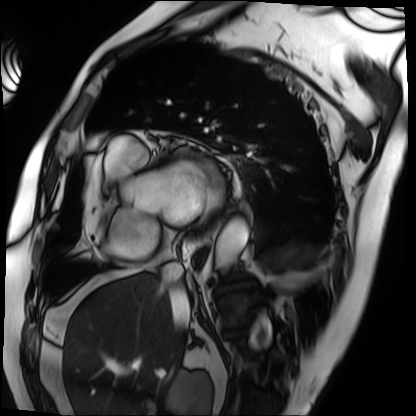
{
  "modality": "cardiac MRI",
  "cohort": "patient"
}